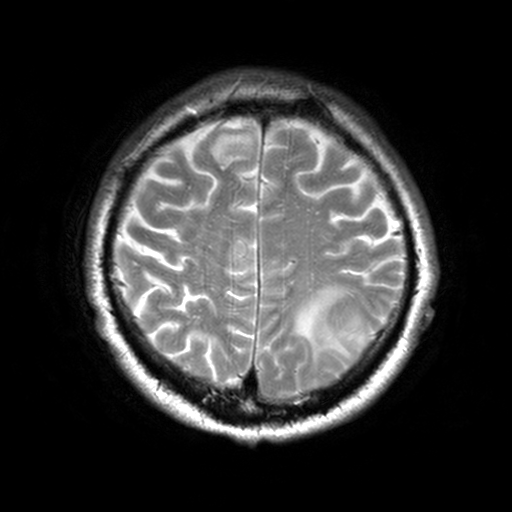
3 Tesla brain MRI.
Series: T2-weighted turbo spin echo, 3 mm.
Study: ring-enhancing brain masses.